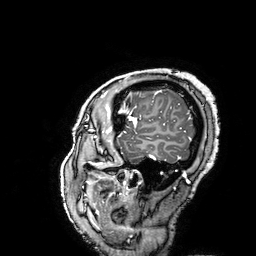
– modality — 3 Tesla brain MRI
– series — 3D T1-weighted turbo field echo with SENSE
– study — ring-enhancing brain masses